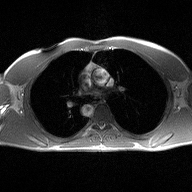
2D phase-contrast cine MRI of the ascending aorta, high-resolution GRAPPA acquisition.